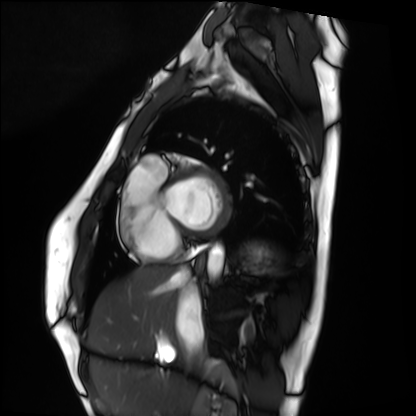
Cardiac MRI.
Subject group: healthy volunteer.